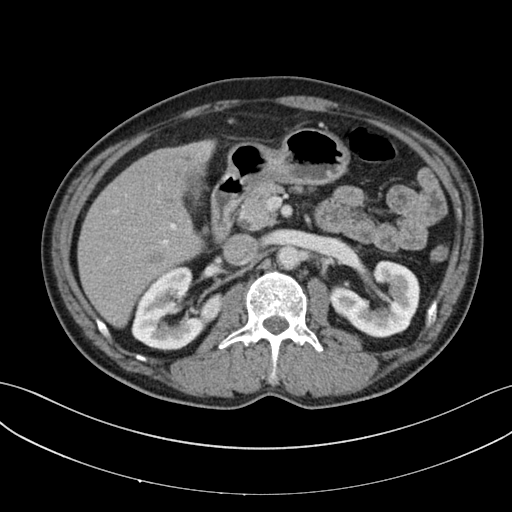
{
  "modality": {
    "type": "multiphase abdominal CT",
    "region": "liver",
    "phase": "portal venous"
  },
  "patient": {
    "sex": "male",
    "age": 53
  }
}